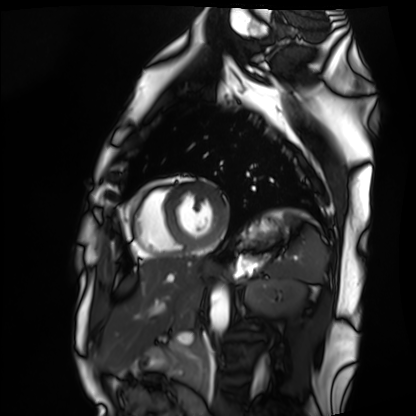
Summary:
Cardiac MRI. Subject group: healthy volunteer.